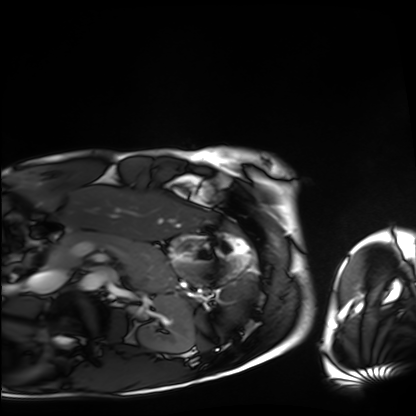
Clinical context:
Cardiac MRI. Subject group: healthy volunteer.